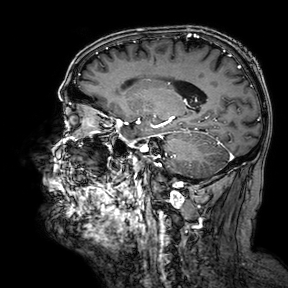
3 Tesla brain MRI. Series: 3D T1-weighted turbo field echo with SENSE. Study: ring-enhancing brain masses.